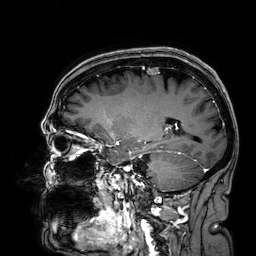
Summary: 3 Tesla brain MRI. Series: 3D T1-weighted. Study: ring-enhancing brain masses.